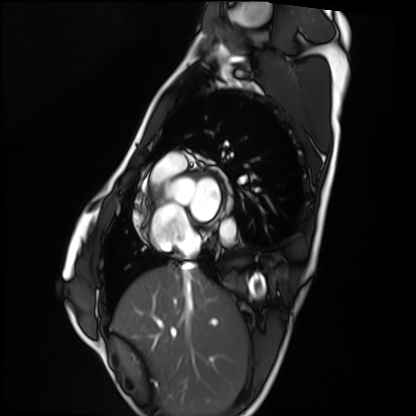
Q: What kind of scan is this?
A: Cardiac MRI.
Subject group: healthy volunteer.